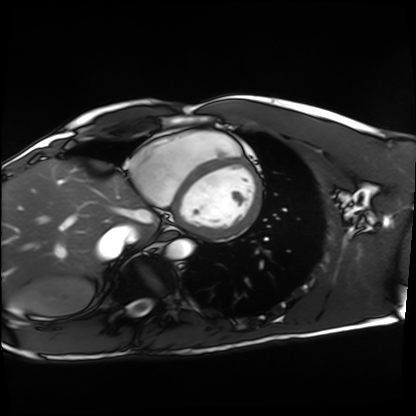
Cardiac MRI.
Subject group: healthy volunteer.